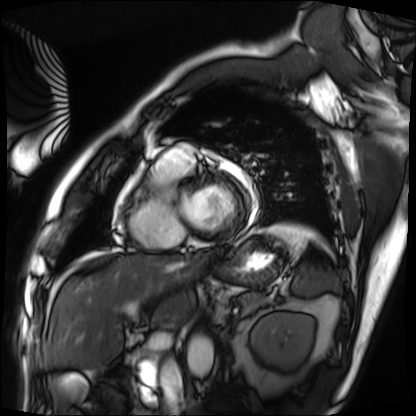
Cardiac MRI. Subject group: patient.